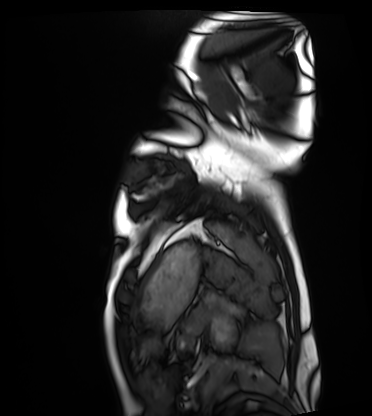
| field | value |
|---|---|
| modality | cardiac MRI |
| subject group | healthy volunteer |